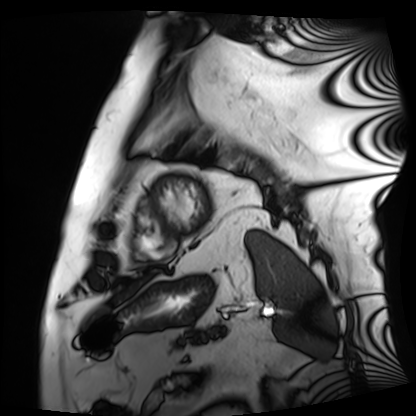
Q: What kind of scan is this?
A: Cardiac MRI.
Subject group: patient.